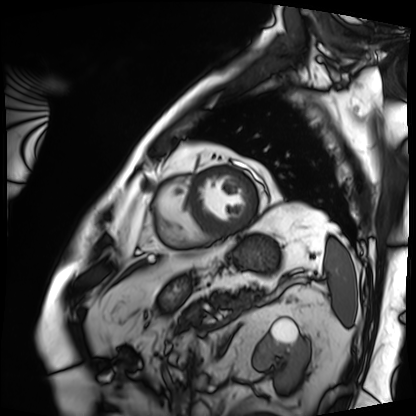
modality: cardiac MRI | subject group: patient.